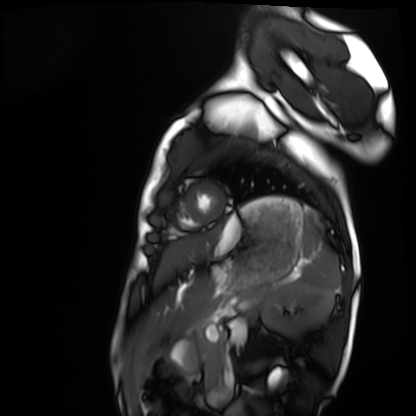
modality: cardiac MRI
subject group: healthy volunteer